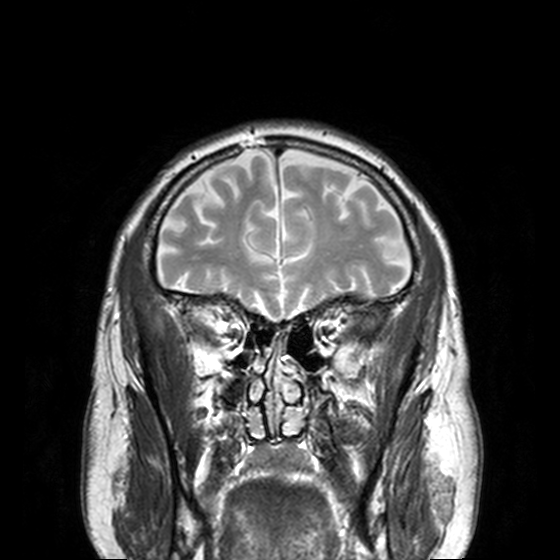
3 Tesla brain MRI. Series: T2-weighted turbo spin echo, 3 mm. Study: ring-enhancing brain masses.